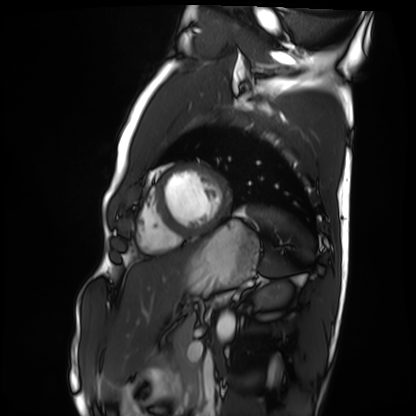
Cardiac MRI.
Subject group: healthy volunteer.